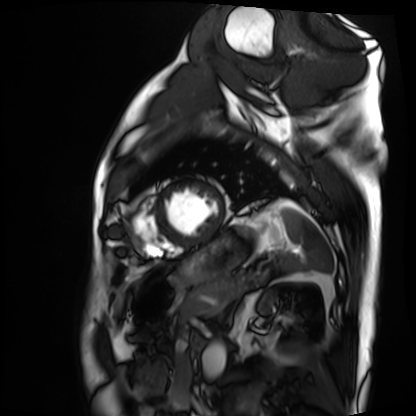
Summary:
Cardiac MRI. Subject group: patient.